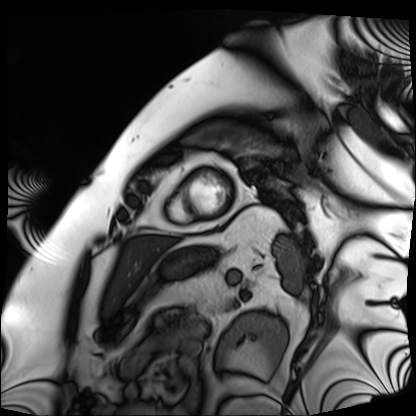
modality: cardiac MRI
cohort: patient